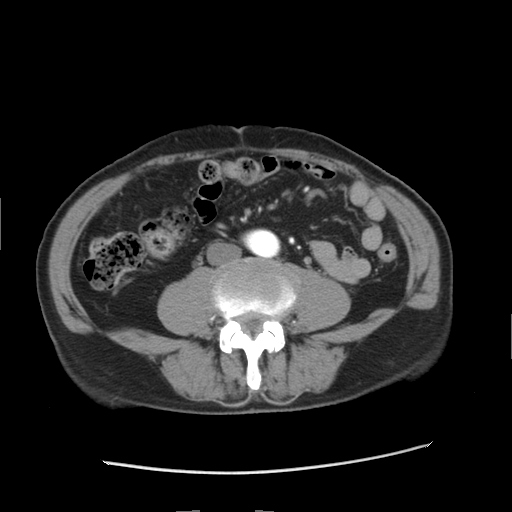
| field | value |
|---|---|
| modality | multiphase abdominal CT, liver, arterial phase |
| patient | male, age 76 |